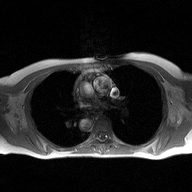
2D phase-contrast cine MRI of the ascending aorta, high-resolution GRAPPA acquisition.